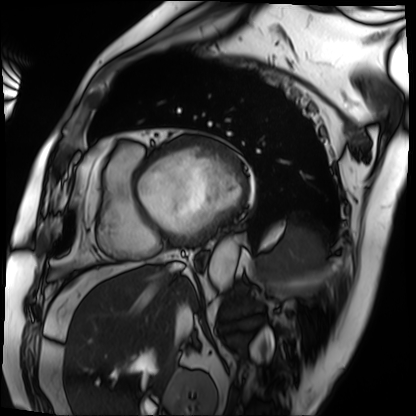
| field | value |
|---|---|
| modality | cardiac MRI |
| subject group | patient |